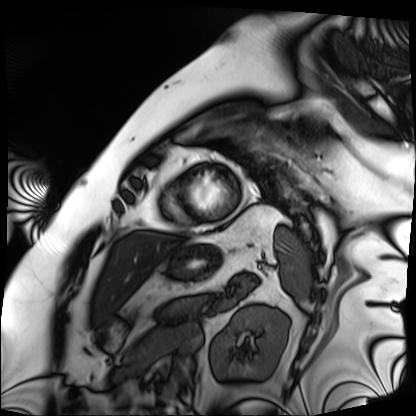
Case:
* modality: cardiac MRI
* subject group: patient